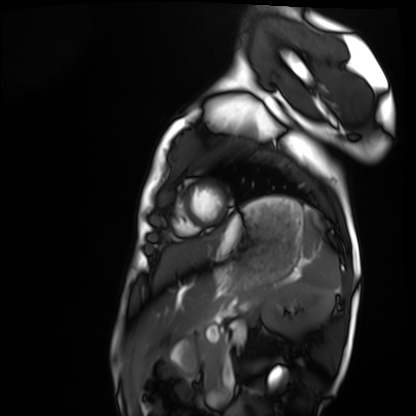
Summary: Cardiac MRI. Subject group: healthy volunteer.